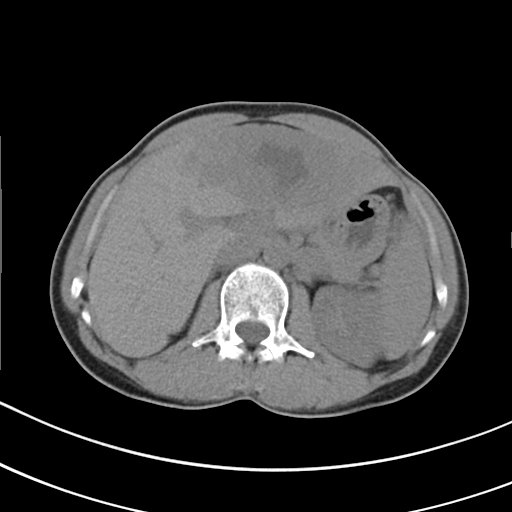
Summary:
Multiphase abdominal CT, liver, non-contrast phase. Patient: female, age 49.